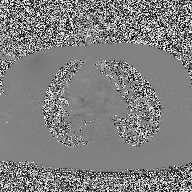
Summary: 2D phase-contrast cine MRI of the ascending aorta, high-resolution GRAPPA acquisition.